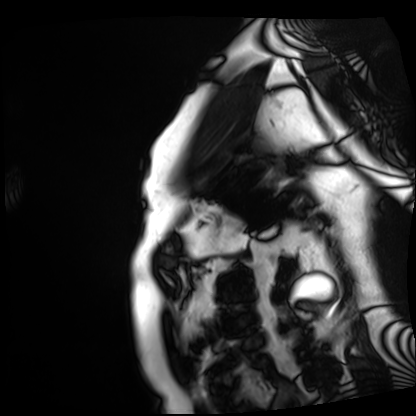
modality: cardiac MRI; subject group: patient.